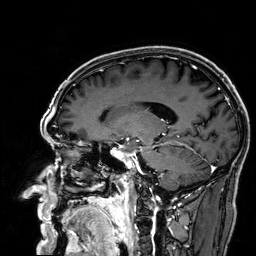
modality=3 Tesla brain MRI
series=3D T1-weighted
study=ring-enhancing brain masses